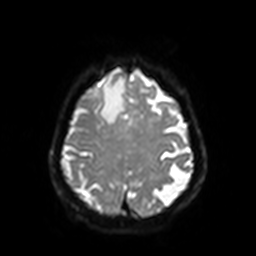
{"modality": {"type": "brain MRI", "field_strength": "3T"}, "series": "diffusion-weighted imaging with SENSE (WIP)", "study_topic": "ring-enhancing brain masses"}